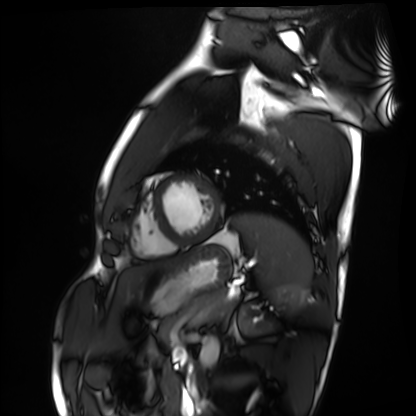
modality = cardiac MRI, subject group = healthy volunteer.